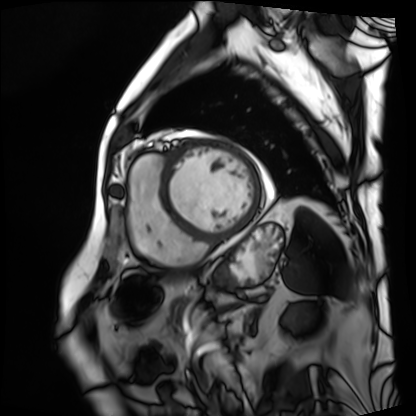
Summary: Cardiac MRI. Subject group: patient.